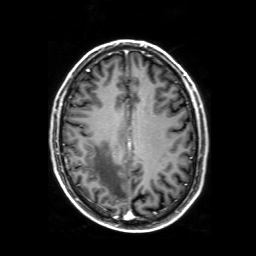
Summary: 3 Tesla brain MRI. Series: 3D T1-weighted with SENSE. Study: ring-enhancing brain masses.